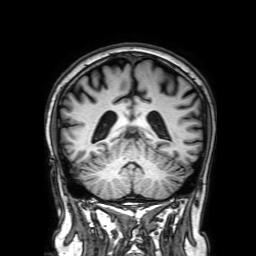
modality:
  type: brain MRI
  field_strength: 3T
study_topic: ring-enhancing brain masses